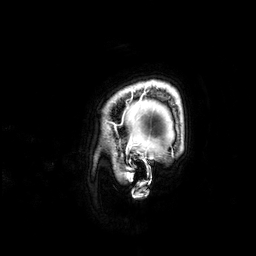
modality = 3 Tesla brain MRI | series = 3D T1-weighted | study = ring-enhancing brain masses.